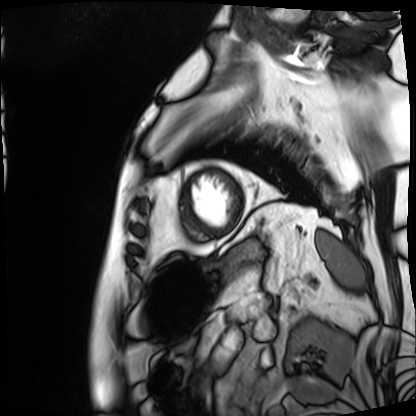
| field | value |
|---|---|
| modality | cardiac MRI |
| subject group | patient |